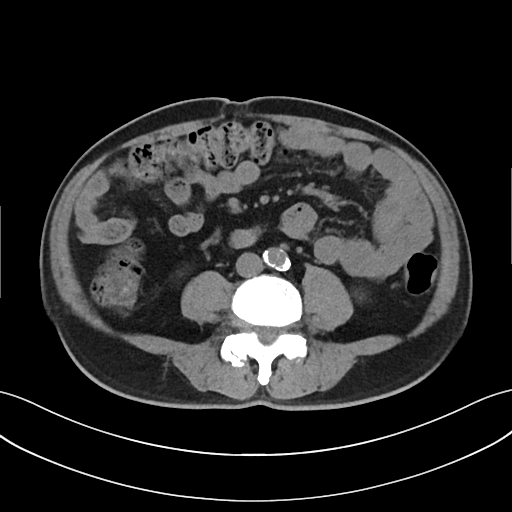
modality:
  type: multiphase abdominal CT
  region: liver
  phase: non-contrast
patient:
  sex: male
  age: 65
history:
  - cirrhosis